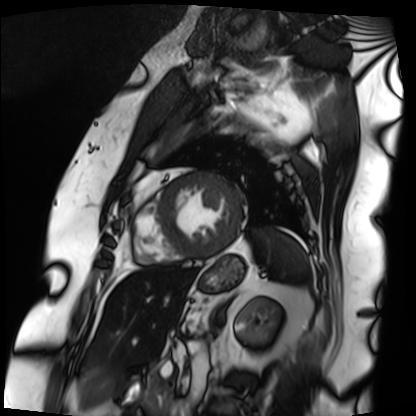
Q: What kind of scan is this?
A: Cardiac MRI.
Subject group: patient.